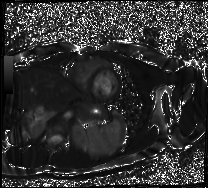
– modality: cardiac MR image of the myocardium
– subject cohort: healthy volunteer